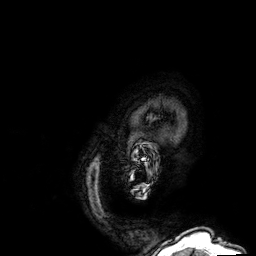
modality = 3 Tesla brain MRI; series = 3D T1-weighted; study = ring-enhancing brain masses.